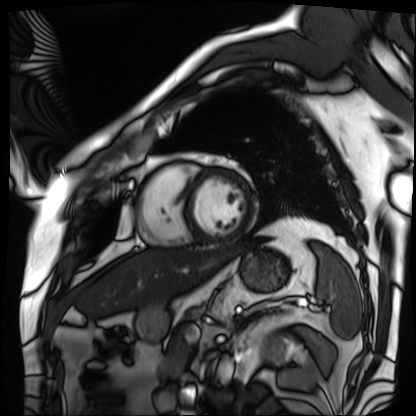
Summary: Cardiac MRI. Subject group: patient.